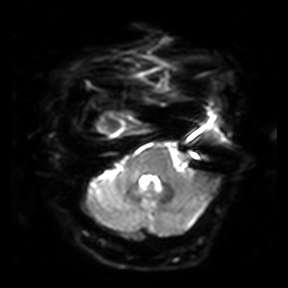
Clinical context: 3 Tesla brain MRI. Series: diffusion-weighted imaging. Study: ring-enhancing brain masses.